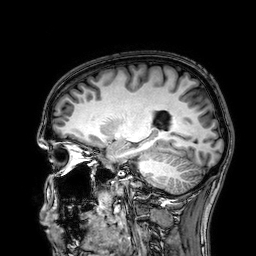
{"modality": {"type": "brain MRI", "field_strength": "3T"}, "series": "3D T1-weighted", "study_topic": "ring-enhancing brain masses"}